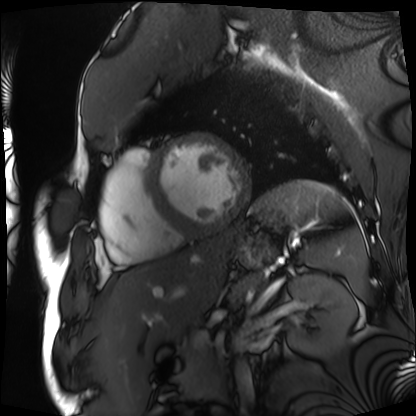
modality = cardiac MRI; subject group = patient.